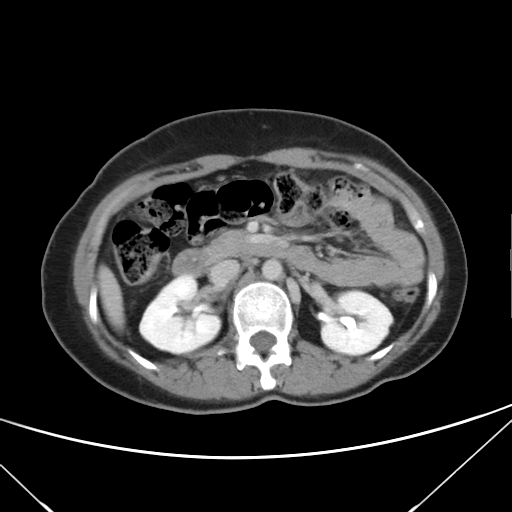
Multiphase abdominal CT, liver, delayed phase. Patient: female, age 43.